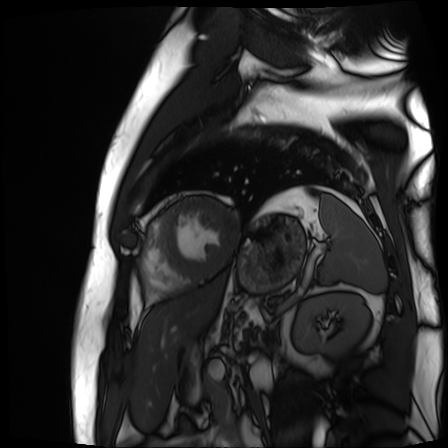
Cardiac MR image of the myocardium. Subject cohort: cardiac patient.